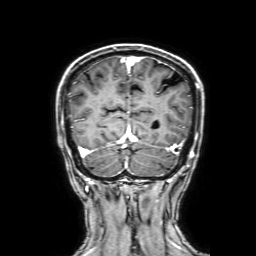
Summary:
3 Tesla brain MRI. Series: 3D T1-weighted with SENSE. Study: ring-enhancing brain masses.